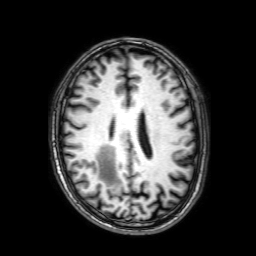
Case:
- modality — 3 Tesla brain MRI
- series — 3D T1-weighted with SENSE
- study — ring-enhancing brain masses